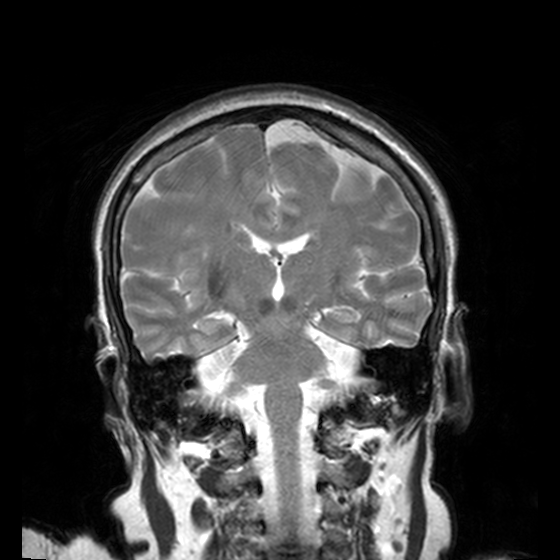
3 Tesla brain MRI.
Series: T2-weighted turbo spin echo, 3 mm.
Study: ring-enhancing brain masses.